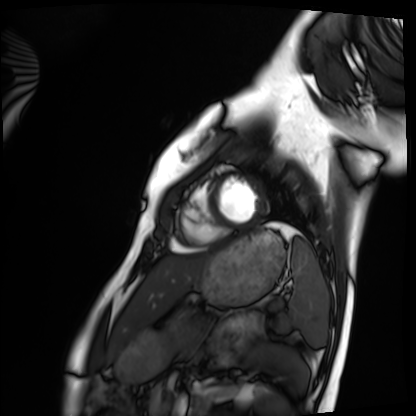
- modality · cardiac MRI
- subject group · healthy volunteer